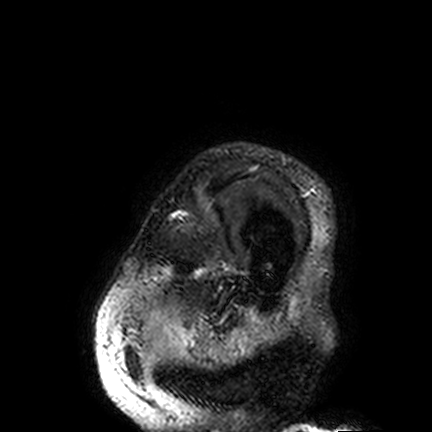
modality: 3 Tesla brain MRI; series: FLAIR VISTA; study: ring-enhancing brain masses.